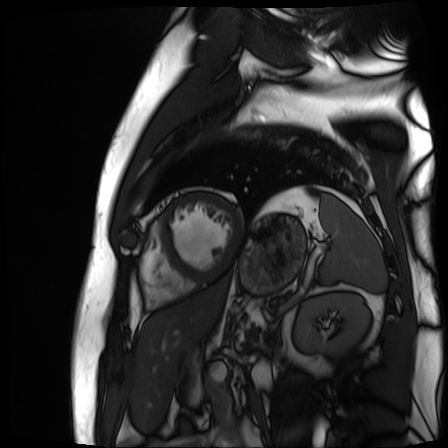
Summary: Cardiac MR image of the myocardium. Subject cohort: cardiac patient.